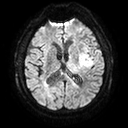
Case:
* modality · 3 Tesla brain MRI
* series · diffusion tensor imaging (medium iso)
* study · ring-enhancing brain masses